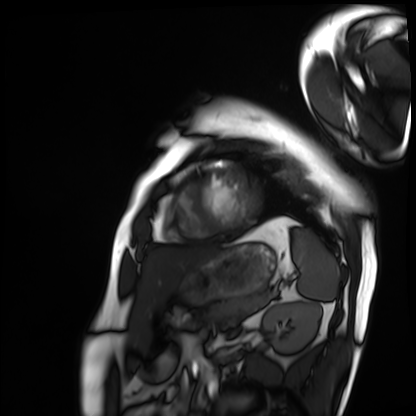
Q: What kind of scan is this?
A: Cardiac MRI.
Subject group: patient.